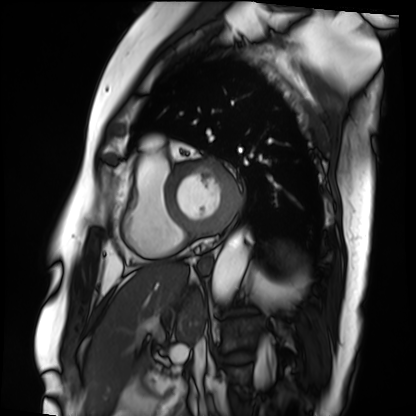
Cardiac MRI.
Subject group: patient.